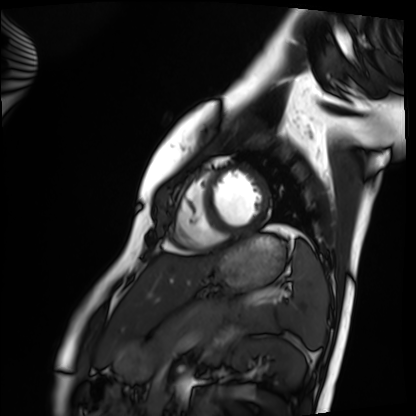
Clinical context: Cardiac MRI. Subject group: healthy volunteer.